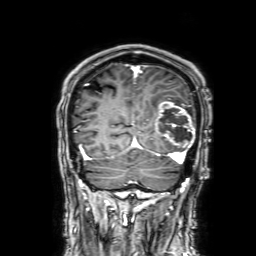
3 Tesla brain MRI.
Series: 3D T1-weighted with SENSE.
Study: ring-enhancing brain masses.